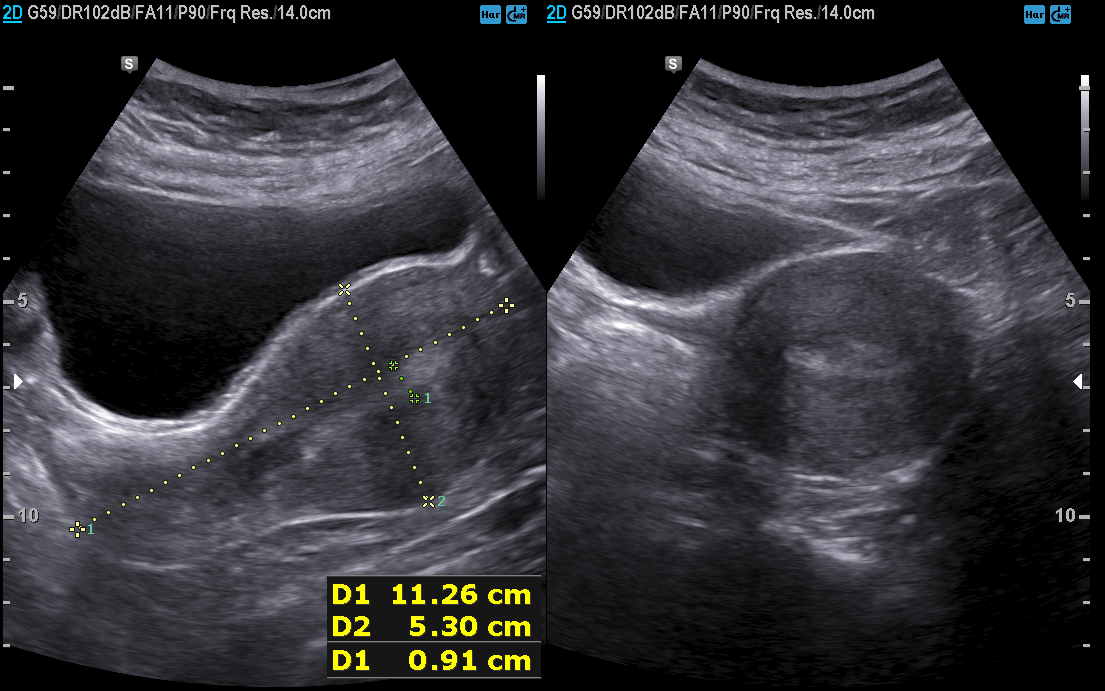
Q: What kind of scan is this?
A: Genitourinary ultrasound.